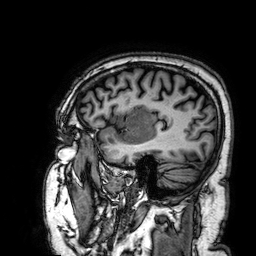
3 Tesla brain MRI.
Series: 3D T1-weighted.
Study: ring-enhancing brain masses.